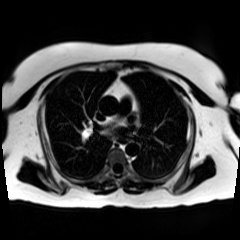
Chemical-shift-encoded cardiac MRI.